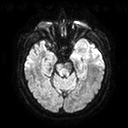
Q: What kind of scan is this?
A: 3 Tesla brain MRI.
Q: Series?
A: Diffusion tensor imaging (medium iso).
Study: ring-enhancing brain masses.